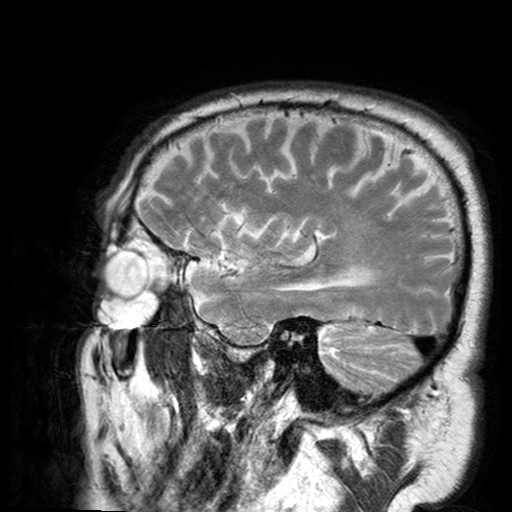
- modality: 3 Tesla brain MRI
- series: T2-weighted turbo spin echo with SENSE
- study: ring-enhancing brain masses